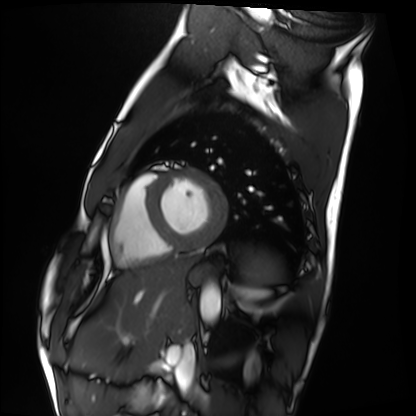
<case>
<modality>cardiac MRI</modality>
<cohort>healthy volunteer</cohort>
</case>